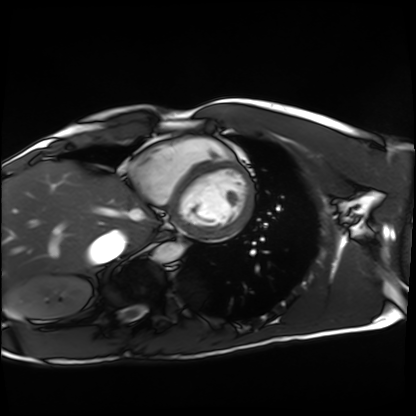
modality: cardiac MRI
cohort: healthy volunteer